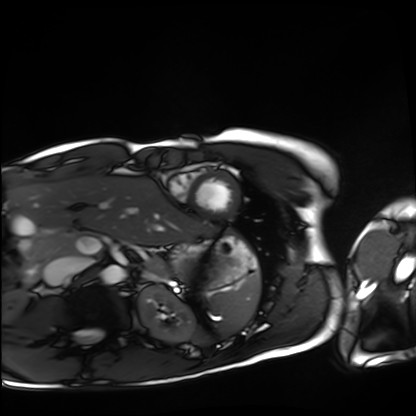
Case:
• modality — cardiac MRI
• subject group — healthy volunteer